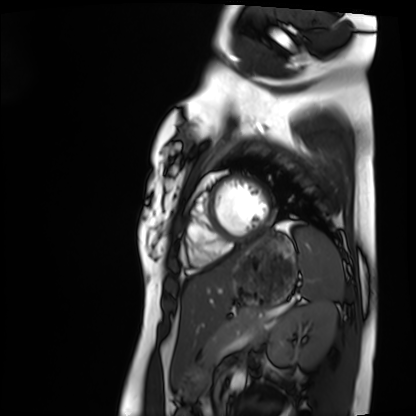
modality: cardiac MRI
cohort: healthy volunteer